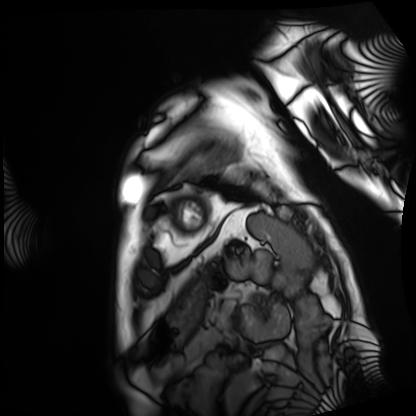
{
  "modality": "cardiac MRI",
  "cohort": "patient"
}